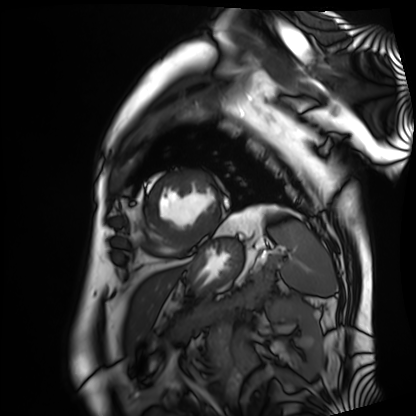
Case summary: Cardiac MRI. Subject group: patient.